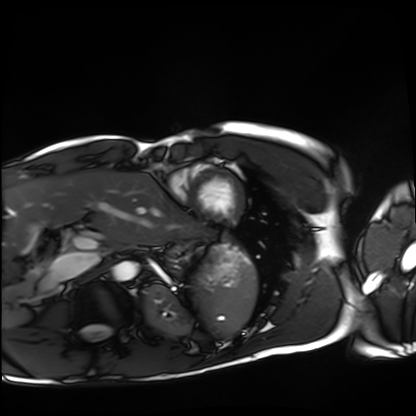
Q: What kind of scan is this?
A: Cardiac MRI.
Subject group: healthy volunteer.